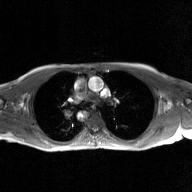
modality = 2D phase-contrast cine MRI of the ascending aorta, GAN super-resolution reconstruction.